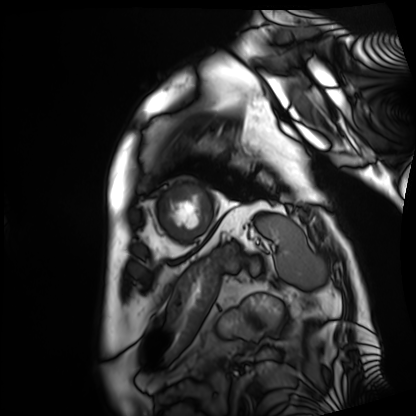
modality=cardiac MRI
subject group=patient